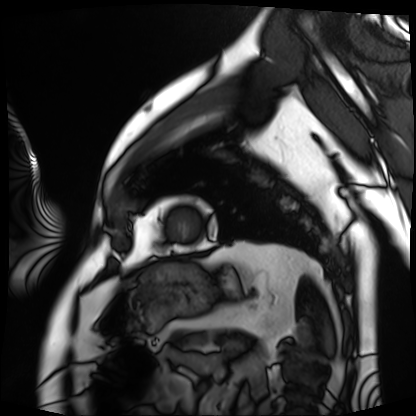
Summary:
Cardiac MRI. Subject group: patient.